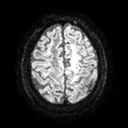
| field | value |
|---|---|
| modality | 3 Tesla brain MRI |
| series | diffusion tensor imaging (medium iso) |
| study | ring-enhancing brain masses |